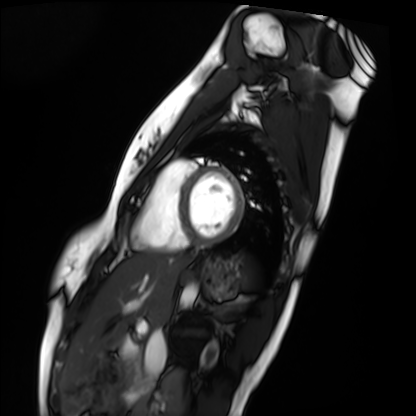
Cardiac MRI. Subject group: healthy volunteer.